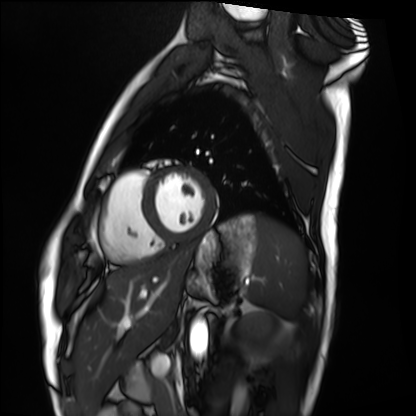
Cardiac MRI.
Subject group: healthy volunteer.